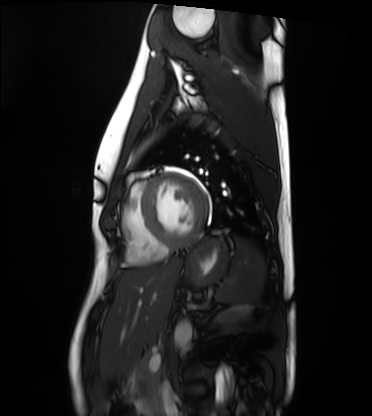
{
  "modality": "cardiac MRI",
  "cohort": "healthy volunteer"
}